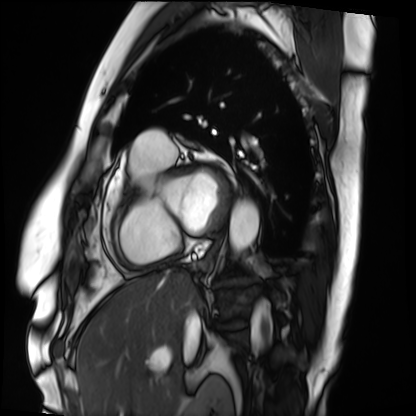
{
  "modality": "cardiac MRI",
  "cohort": "patient"
}